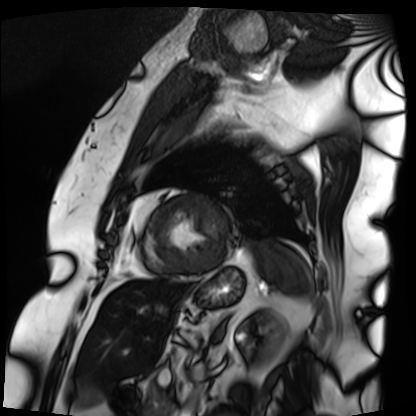
modality: cardiac MRI; subject group: patient.